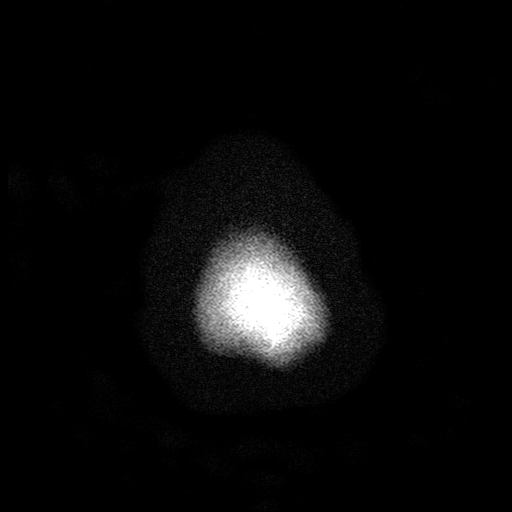
modality = 3 Tesla brain MRI
series = T2-weighted turbo spin echo with SENSE
study = ring-enhancing brain masses